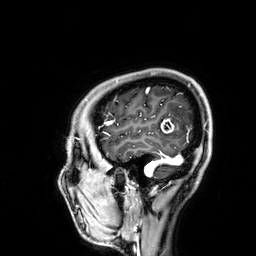
{"modality": {"type": "brain MRI", "field_strength": "3T"}, "study_topic": "ring-enhancing brain masses"}